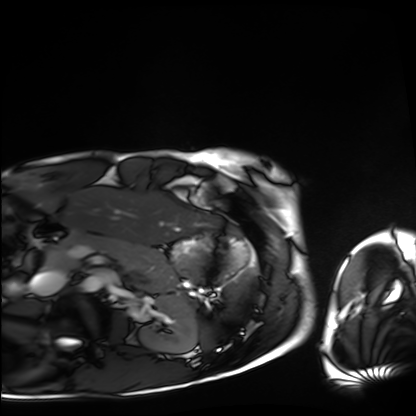
modality: cardiac MRI
cohort: healthy volunteer